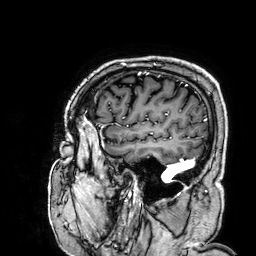
Q: What kind of scan is this?
A: 3 Tesla brain MRI.
Q: Series?
A: 3D T1-weighted.
Study: ring-enhancing brain masses.